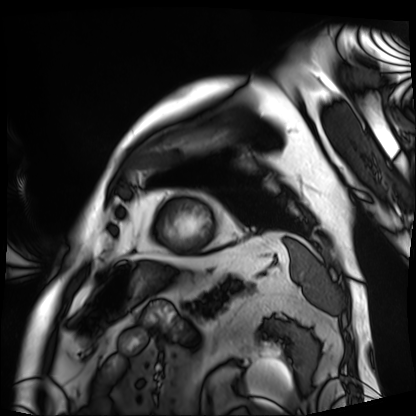
Case summary:
Cardiac MRI. Subject group: patient.